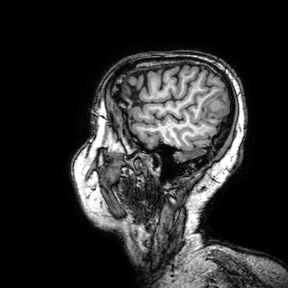
modality — 3 Tesla brain MRI; series — 3D T1-weighted turbo field echo with SENSE; study — ring-enhancing brain masses.